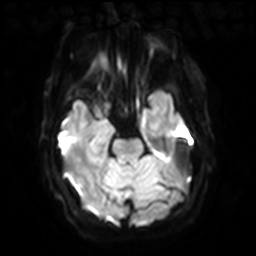
3 Tesla brain MRI.
Series: diffusion-weighted imaging with SENSE (WIP).
Study: ring-enhancing brain masses.